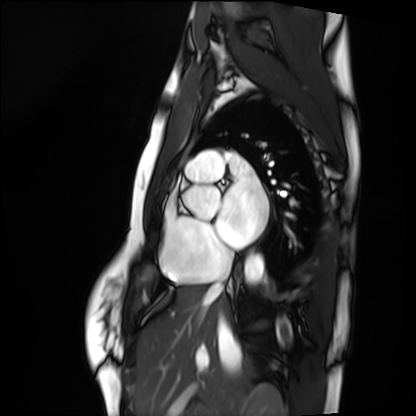
Case summary:
Cardiac MRI. Subject group: healthy volunteer.